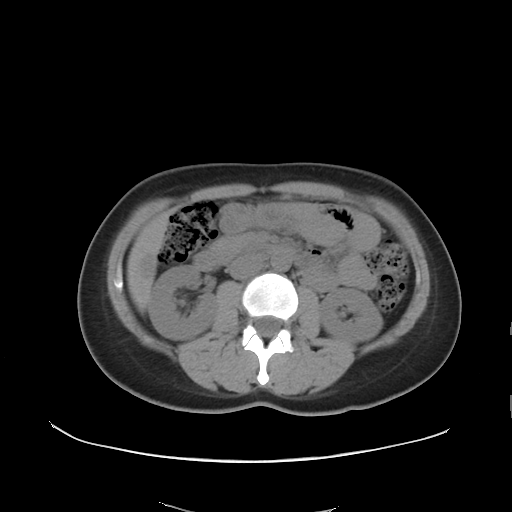
Case:
- modality — multiphase abdominal CT, liver, non-contrast phase
- patient — female, age 29